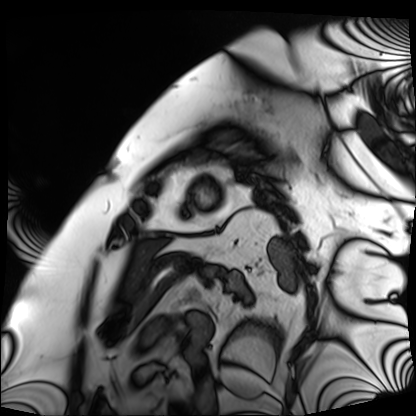
modality: cardiac MRI; subject group: patient.